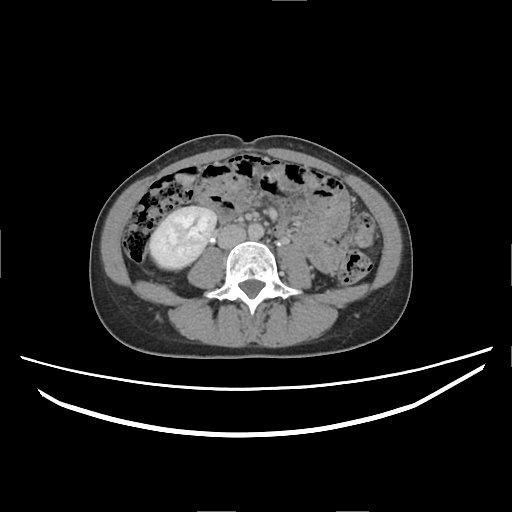
Multiphase abdominal CT, liver, delayed phase.